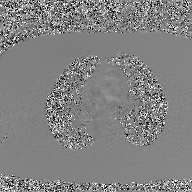
Summary: 2D phase-contrast cine MRI of the ascending aorta, GAN super-resolution reconstruction.